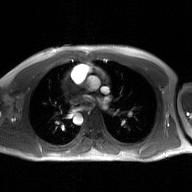
2D phase-contrast cine MRI of the ascending aorta, GAN super-resolution reconstruction.